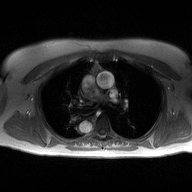
* modality · 2D phase-contrast cine MRI of the ascending aorta